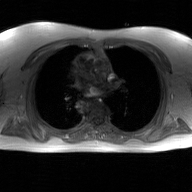
modality:
  type: 2D phase-contrast cine MRI
  region: ascending aorta
  reconstruction: GAN super-resolution reconstruction